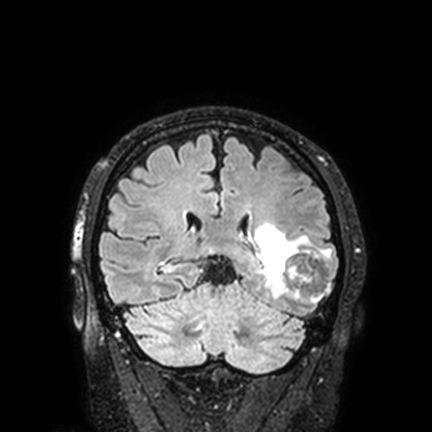
Clinical context:
3 Tesla brain MRI. Series: FLAIR VISTA with SENSE. Study: ring-enhancing brain masses.